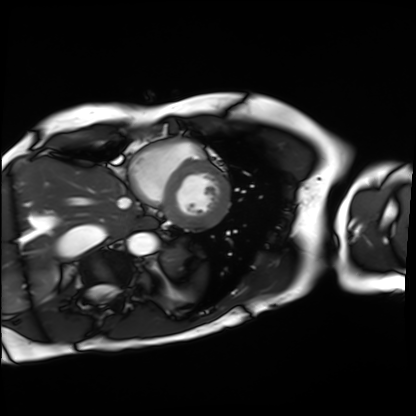
{"modality": "cardiac MRI", "cohort": "patient"}